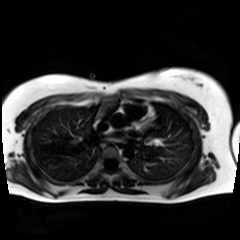
– modality — chemical-shift-encoded cardiac MRI